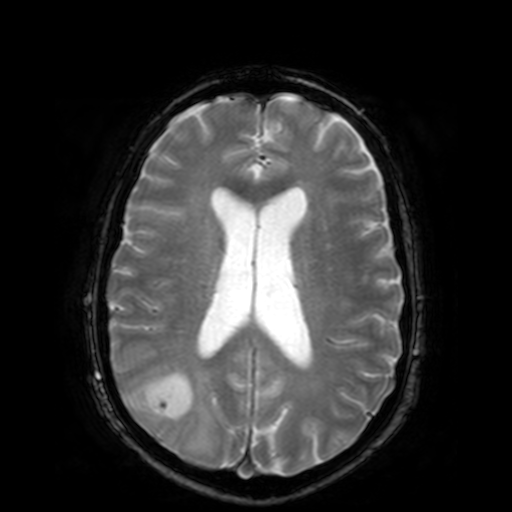
3 Tesla brain MRI. Series: T2-weighted fast field echo. Study: ring-enhancing brain masses.